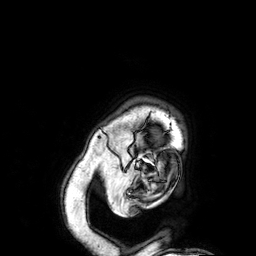
3 Tesla brain MRI.
Series: 3D T1-weighted.
Study: ring-enhancing brain masses.